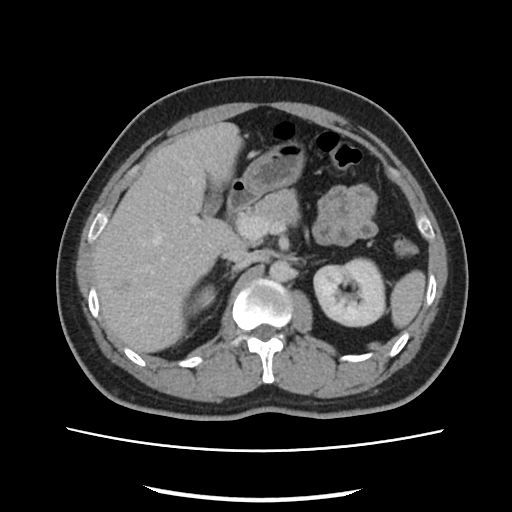
Q: What kind of scan is this?
A: Multiphase abdominal CT, liver, portal venous phase.
Q: Patient?
A: Male, age 33.